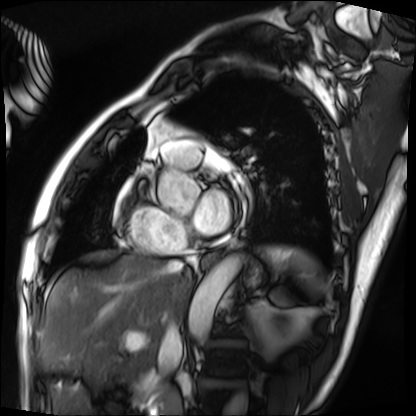
modality = cardiac MRI
subject group = patient